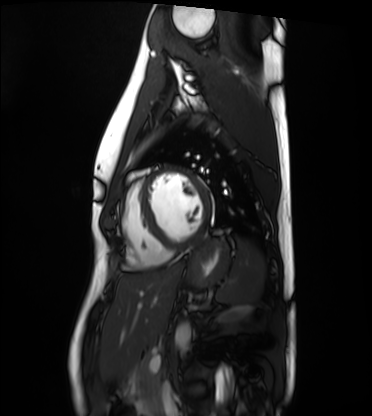
Cardiac MRI.
Subject group: healthy volunteer.